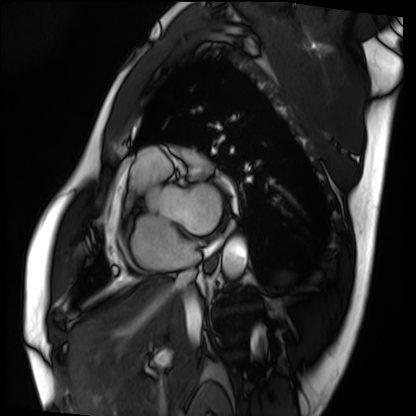
modality=cardiac MRI; subject group=patient.